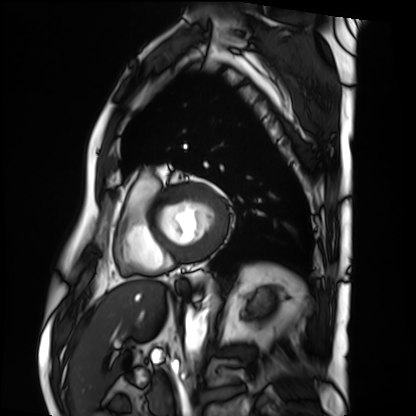
modality: cardiac MRI; subject group: patient.